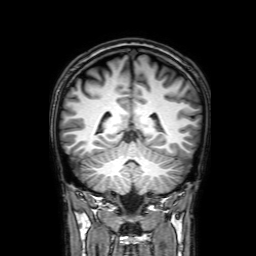
| field | value |
|---|---|
| modality | 3 Tesla brain MRI |
| series | 3D T1-weighted with SENSE |
| study | ring-enhancing brain masses |